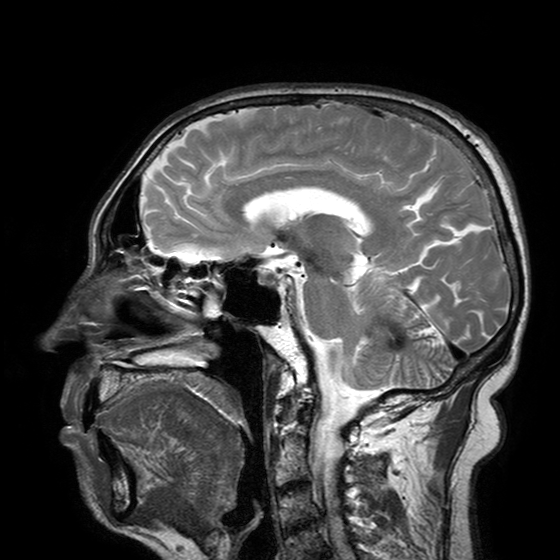
<scan>
  <modality>
    <type>brain MRI</type>
    <field_strength>3T</field_strength>
  </modality>
  <series>T2-weighted turbo spin echo with SENSE</series>
  <study_topic>ring-enhancing brain masses</study_topic>
</scan>